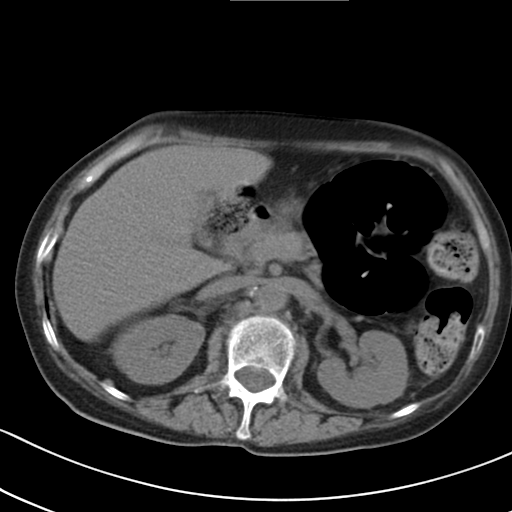
{"modality": {"type": "multiphase abdominal CT", "region": "liver", "phase": "non-contrast"}, "patient": {"sex": "female", "age": 65}, "history": ["prior chemotherapy"]}